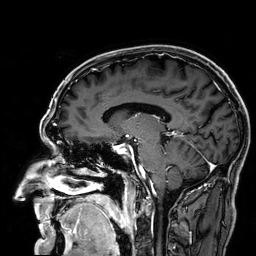
Summary:
3 Tesla brain MRI. Series: 3D T1-weighted. Study: ring-enhancing brain masses.